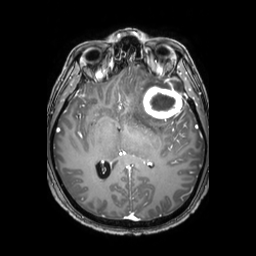
modality: 3 Tesla brain MRI
series: 3D T1-weighted TFE with SENSE
study: ring-enhancing brain masses